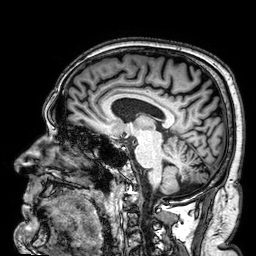
modality: 3 Tesla brain MRI | series: 3D T1-weighted | study: ring-enhancing brain masses.